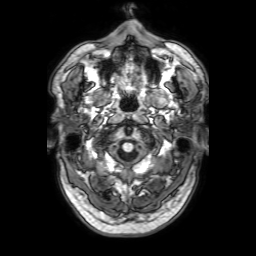
{"modality": {"type": "brain MRI", "field_strength": "3T"}, "series": "3D T1-weighted with SENSE", "study_topic": "ring-enhancing brain masses"}